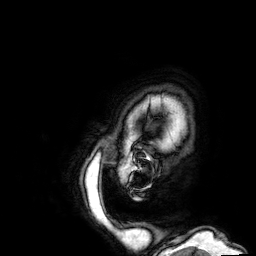
Clinical context:
3 Tesla brain MRI. Series: 3D T1-weighted. Study: ring-enhancing brain masses.